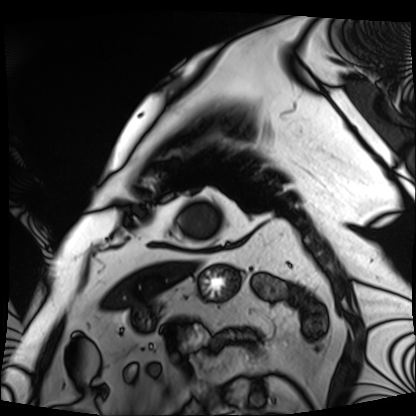
<scan>
<modality>cardiac MRI</modality>
<cohort>patient</cohort>
</scan>